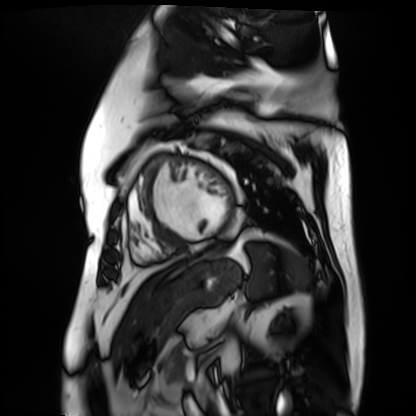
<scan>
  <modality>cardiac MR image of the myocardium</modality>
  <cohort>cardiac patient</cohort>
</scan>